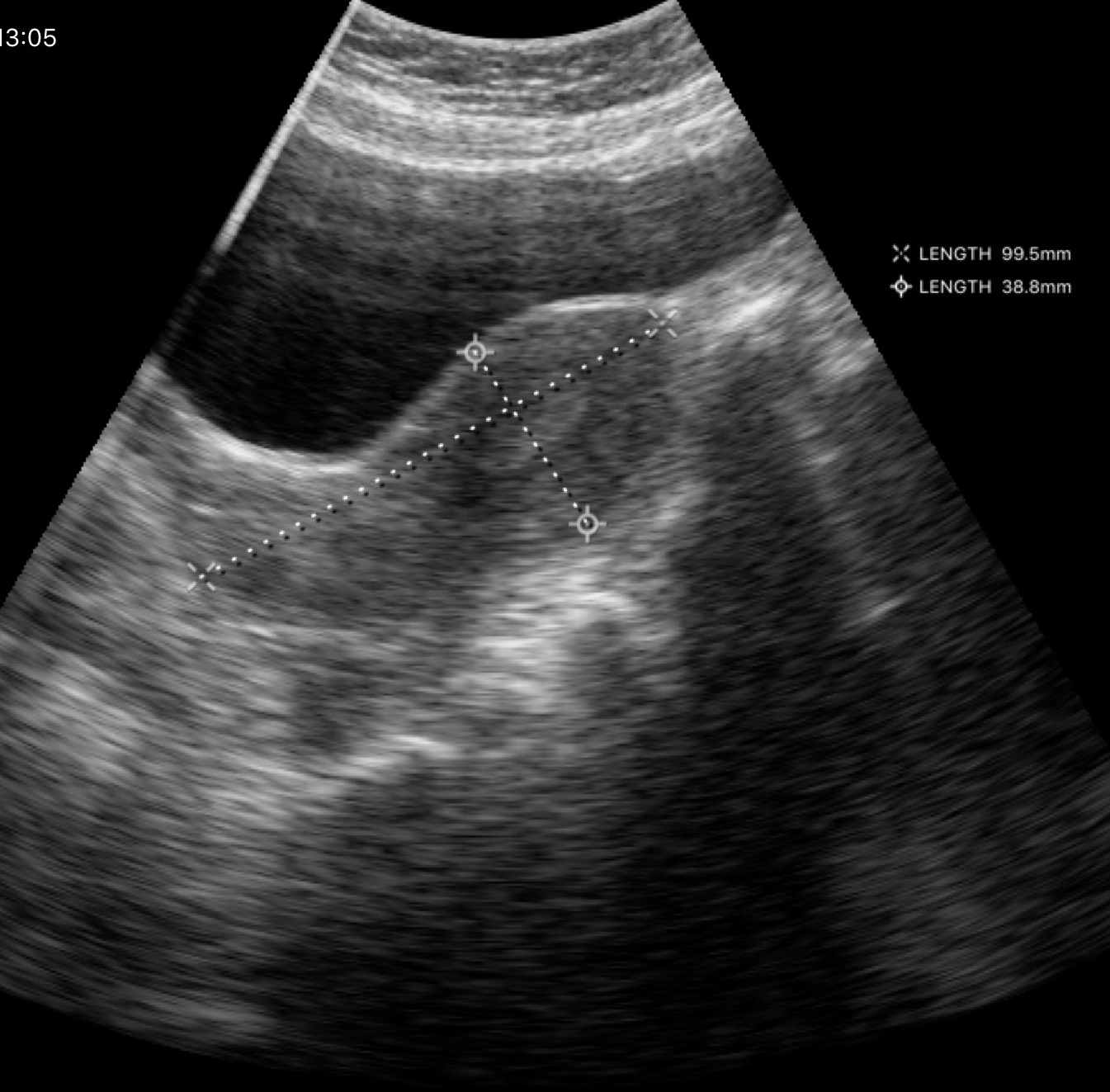
- modality · genitourinary ultrasound